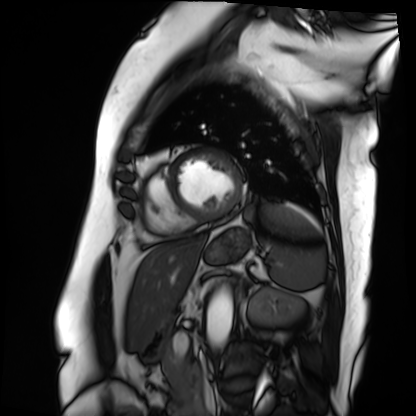
| field | value |
|---|---|
| modality | cardiac MRI |
| subject group | patient |